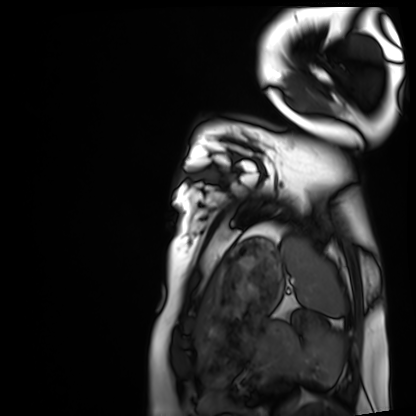
Cardiac MRI. Subject group: healthy volunteer.